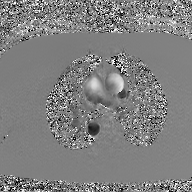
2D phase-contrast cine MRI of the ascending aorta, GAN super-resolution reconstruction.